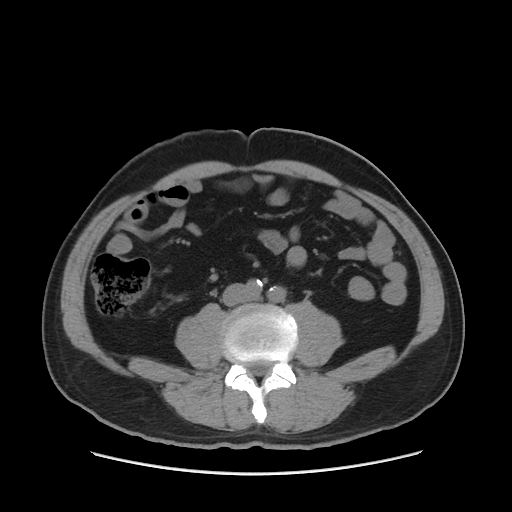
{
  "modality": {
    "type": "multiphase abdominal CT",
    "region": "liver",
    "phase": "non-contrast"
  }
}